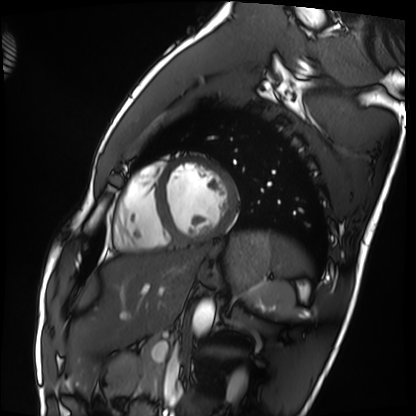
Cardiac MRI. Subject group: healthy volunteer.